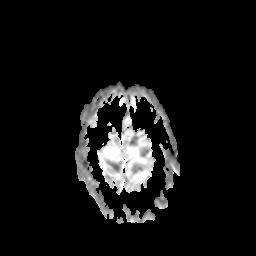
3 Tesla brain MRI. Series: apparent diffusion coefficient (ADC) map. Study: ring-enhancing brain masses.